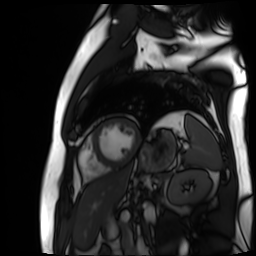
{"modality": "cardiac MR image of the myocardium", "cohort": "cardiac patient"}